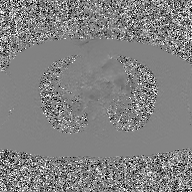
Case:
- modality: 2D phase-contrast cine MRI of the ascending aorta, GAN super-resolution reconstruction